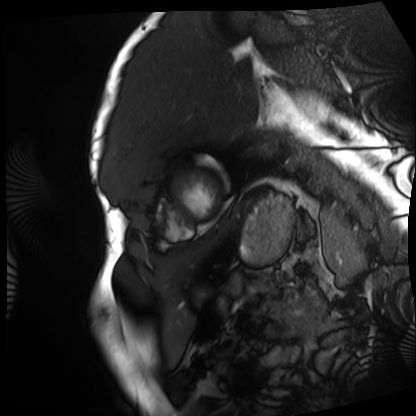
Clinical context: Cardiac MRI. Subject group: patient.